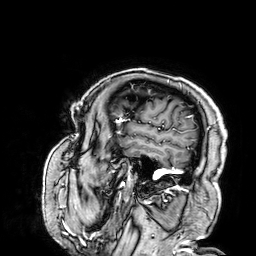
modality: 3 Tesla brain MRI; series: 3D T1-weighted; study: ring-enhancing brain masses.